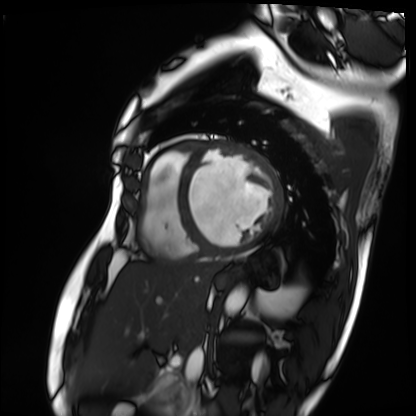
<case>
<modality>cardiac MRI</modality>
<cohort>patient</cohort>
</case>